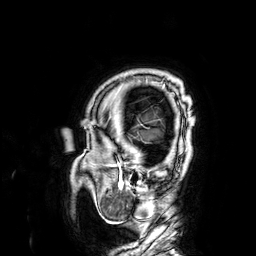
3 Tesla brain MRI.
Series: 3D T1-weighted.
Study: ring-enhancing brain masses.